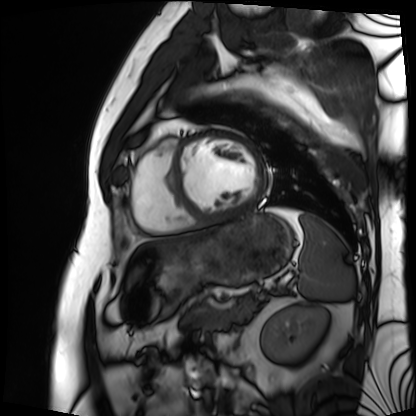
Cardiac MRI. Subject group: patient.